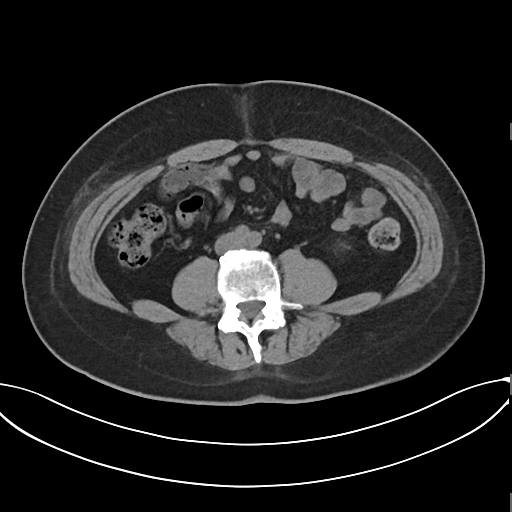
Multiphase abdominal CT, liver, non-contrast phase.
Patient: male, age 44.